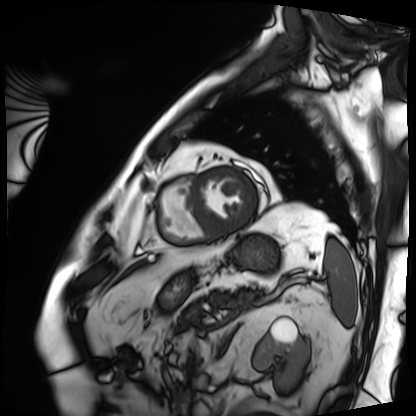
* modality · cardiac MRI
* subject group · patient